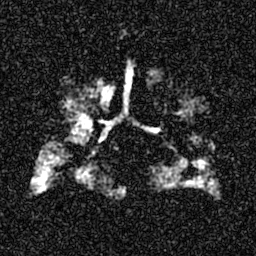
Hyperpolarized 129Xe ventilation MRI of the lungs. SNR level 6 of 8 (the deposit holds this scan as its native image and as seven SNR-degraded versions).